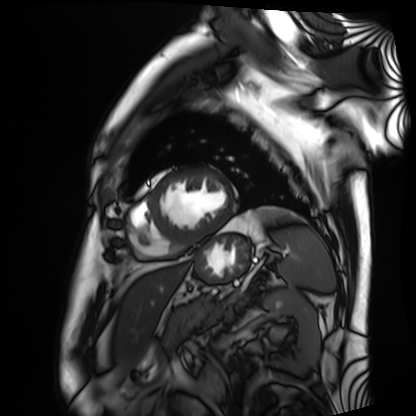
Q: What kind of scan is this?
A: Cardiac MRI.
Subject group: patient.